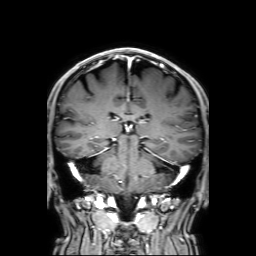
Case:
* modality — 3 Tesla brain MRI
* series — 3D T1-weighted with SENSE
* study — ring-enhancing brain masses